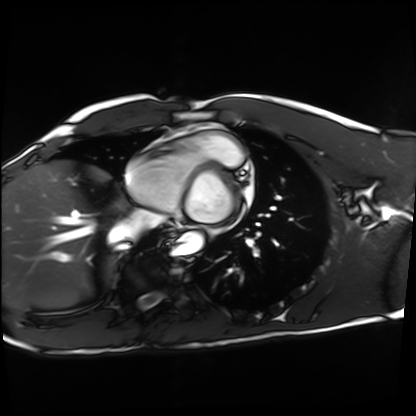
Summary: Cardiac MRI. Subject group: healthy volunteer.